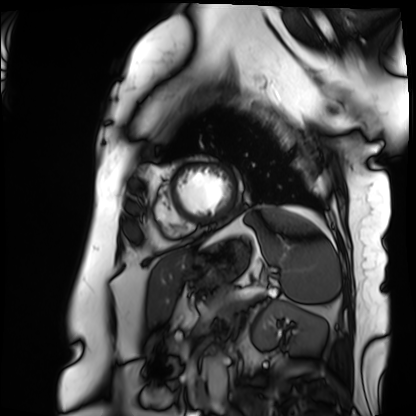
Cardiac MRI.
Subject group: patient.